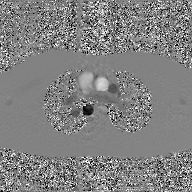
Q: What kind of scan is this?
A: 2D phase-contrast cine MRI of the ascending aorta, GAN super-resolution reconstruction.